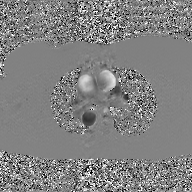
Q: What kind of scan is this?
A: 2D phase-contrast cine MRI of the ascending aorta, GAN super-resolution reconstruction.